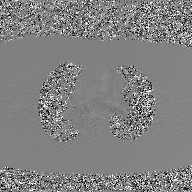
2D phase-contrast cine MRI of the ascending aorta, GAN super-resolution reconstruction.